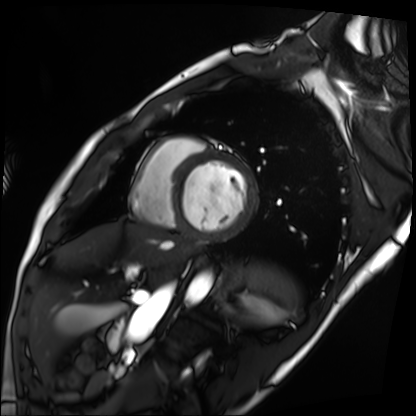
Clinical context:
Cardiac MRI. Subject group: patient.